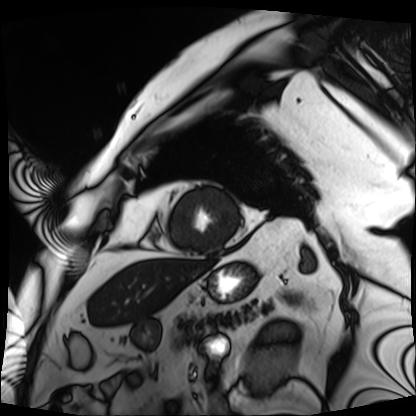
Cardiac MRI.
Subject group: patient.